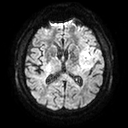
3 Tesla brain MRI. Series: diffusion tensor imaging (medium iso). Study: ring-enhancing brain masses.